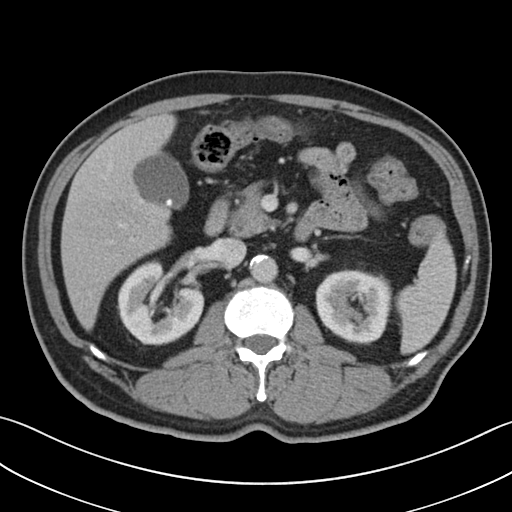
Summary:
Multiphase abdominal CT, liver, portal venous phase. Patient: male, age 73.